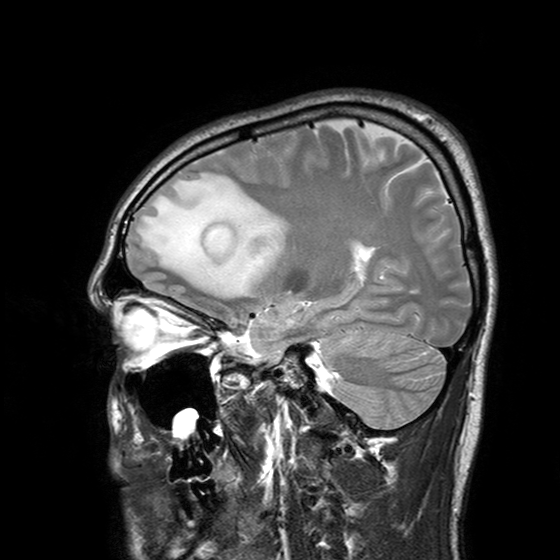
Clinical context:
3 Tesla brain MRI. Series: T2-weighted turbo spin echo with SENSE. Study: ring-enhancing brain masses.